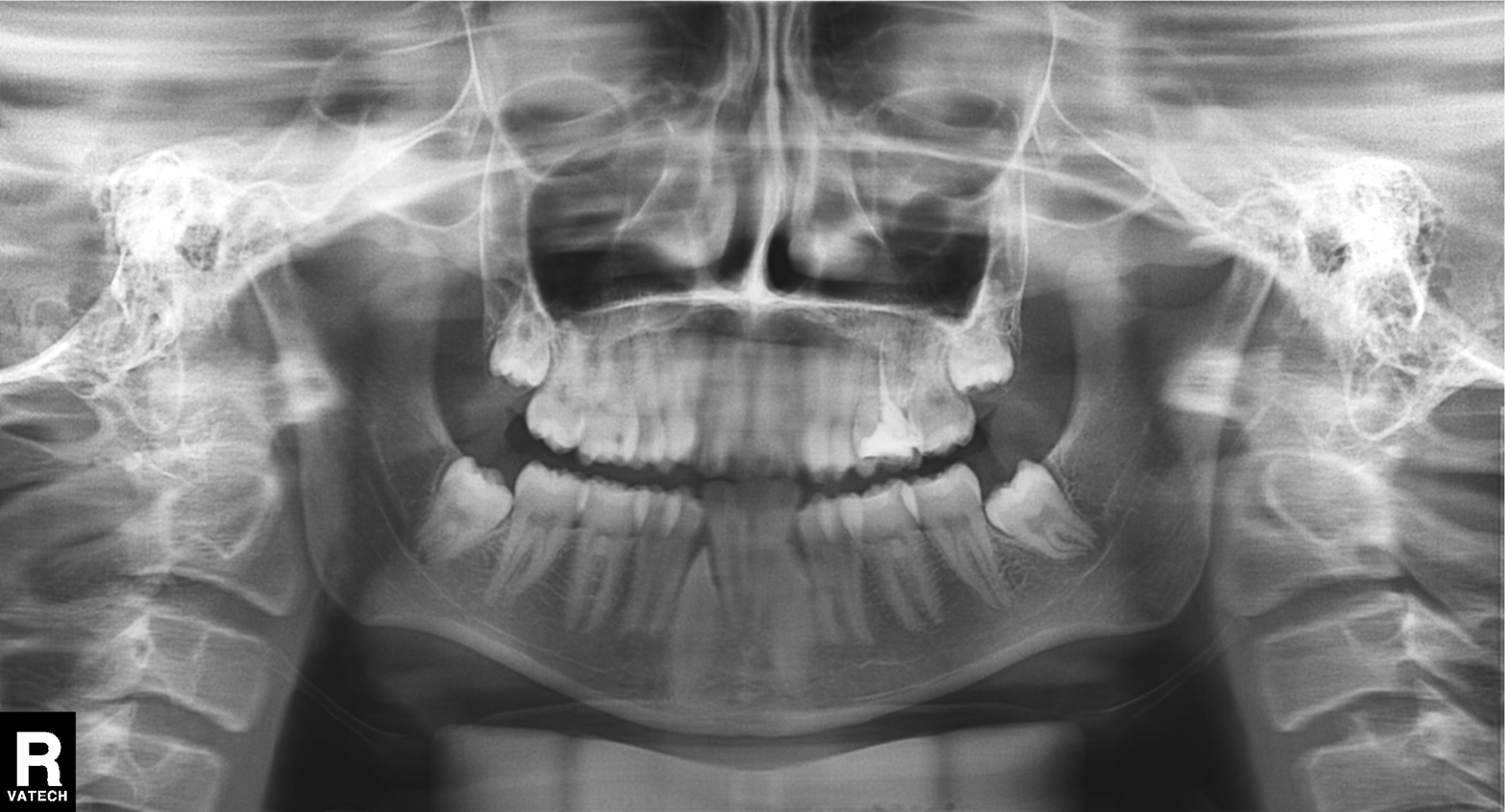
Clinical context: Panoramic dental radiograph (orthopantomogram).
Assessment: Dental caries (cavities).